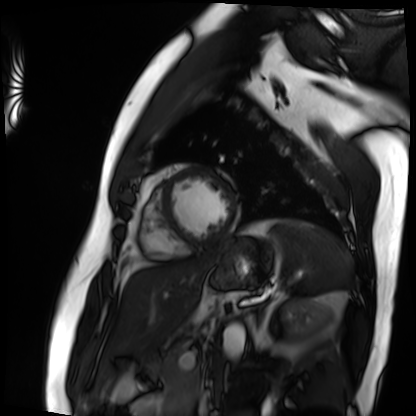
Clinical context:
Cardiac MRI. Subject group: patient.